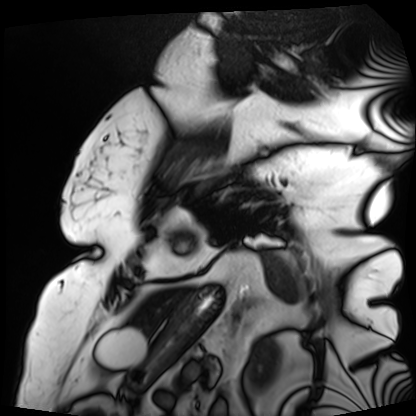
Cardiac MRI. Subject group: patient.